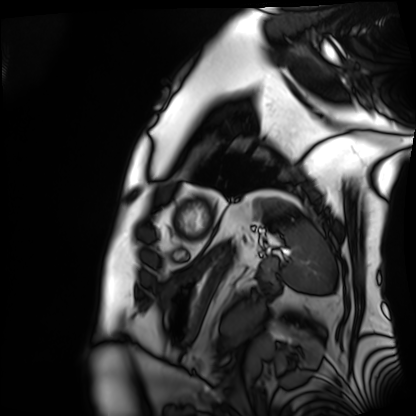
Cardiac MRI.
Subject group: patient.